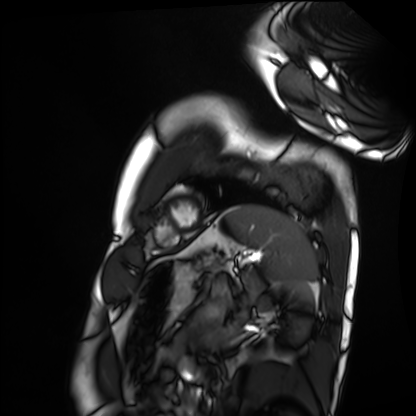
Cardiac MRI.
Subject group: healthy volunteer.